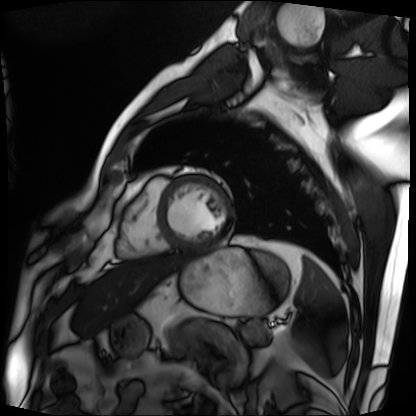
Cardiac MRI. Subject group: patient.